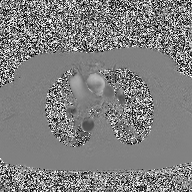
{"modality": {"type": "2D phase-contrast cine MRI", "region": "ascending aorta", "reconstruction": "high-resolution GRAPPA acquisition"}}